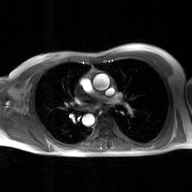
Q: What kind of scan is this?
A: 2D phase-contrast cine MRI of the ascending aorta, GAN super-resolution reconstruction.